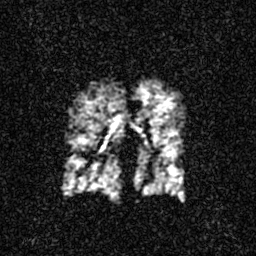
Q: What kind of scan is this?
A: Hyperpolarized 129Xe ventilation MRI of the lungs.
Q: SNR level?
A: 3 of 8 (the deposit holds this scan as its native image and as seven SNR-degraded versions).